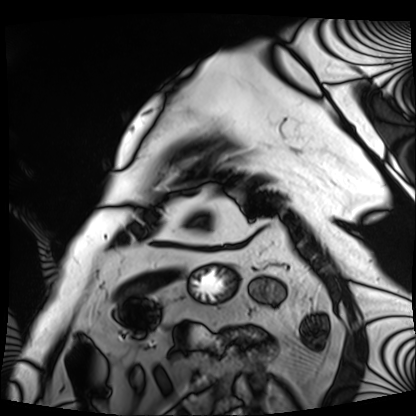
• modality · cardiac MRI
• subject group · patient